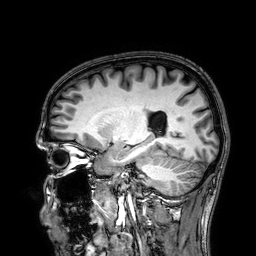
  modality:
    type: brain MRI
    field_strength: 3T
  series: 3D T1-weighted
  study_topic: ring-enhancing brain masses